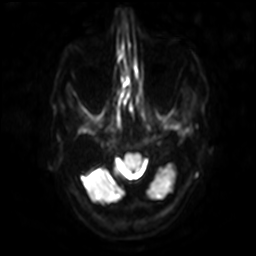
modality: 3 Tesla brain MRI; series: diffusion-weighted imaging with SENSE (WIP); study: ring-enhancing brain masses.